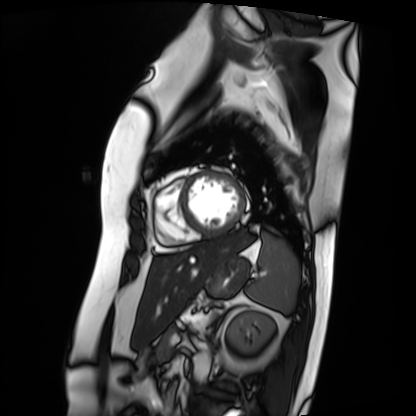
modality: cardiac MRI
subject group: patient